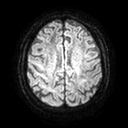
Summary:
3 Tesla brain MRI. Study: ring-enhancing brain masses.